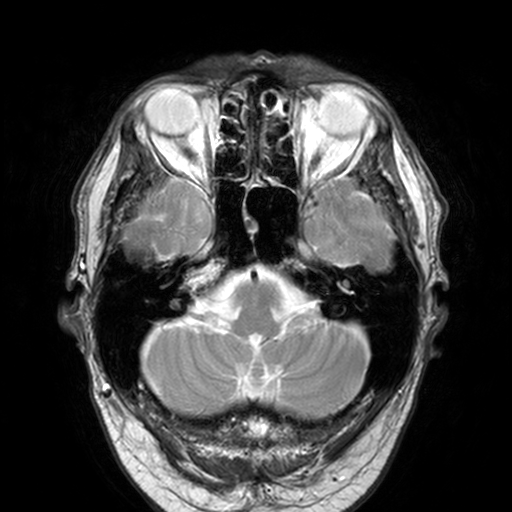
Summary: 3 Tesla brain MRI. Series: T2-weighted turbo spin echo, 3 mm. Study: ring-enhancing brain masses.